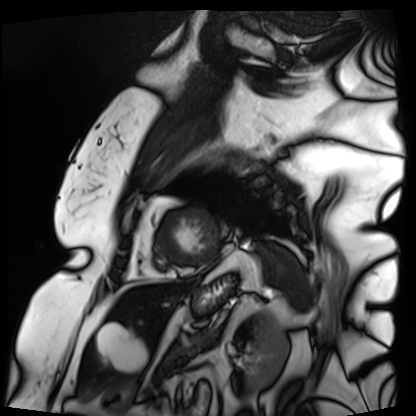
modality = cardiac MRI | subject group = patient.